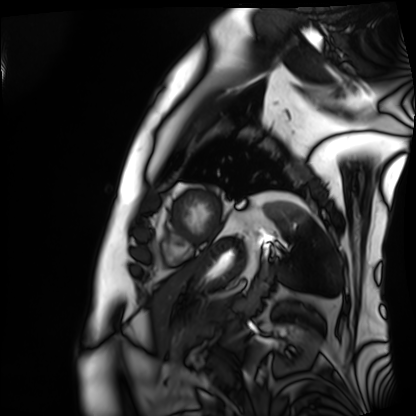
Case summary:
Cardiac MRI. Subject group: patient.